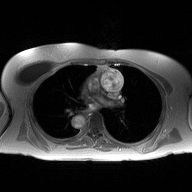
Summary: 2D phase-contrast cine MRI of the ascending aorta, high-resolution GRAPPA acquisition.